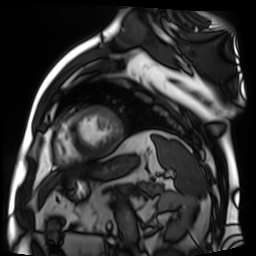
Summary: Cardiac MR image of the myocardium. Subject cohort: cardiac patient.